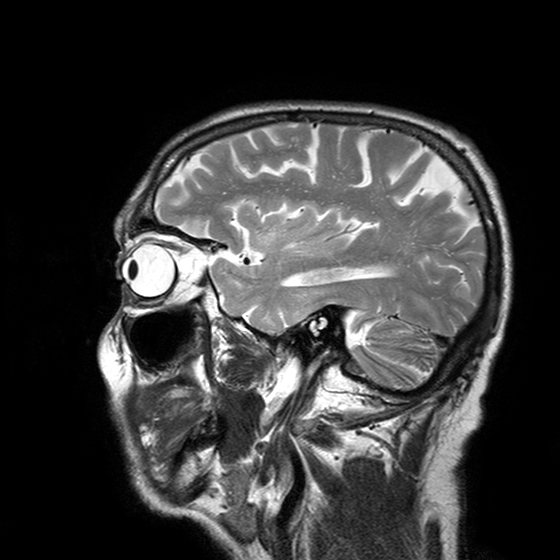
3 Tesla brain MRI. Series: T2-weighted turbo spin echo with SENSE. Study: ring-enhancing brain masses.